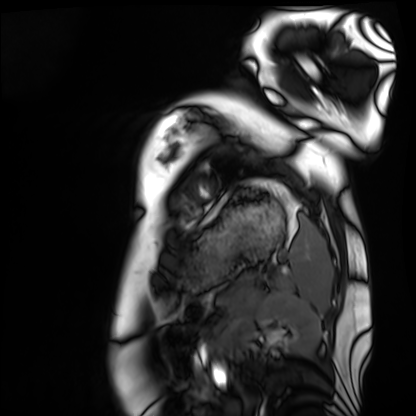
Summary:
Cardiac MRI. Subject group: healthy volunteer.